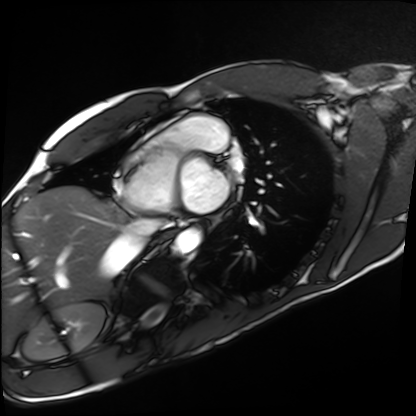
modality: cardiac MRI
subject group: healthy volunteer